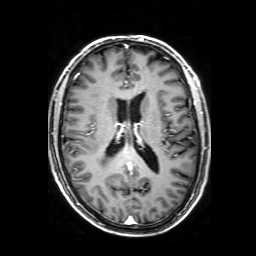
modality: 3 Tesla brain MRI; series: 3D T1-weighted with SENSE; study: ring-enhancing brain masses.